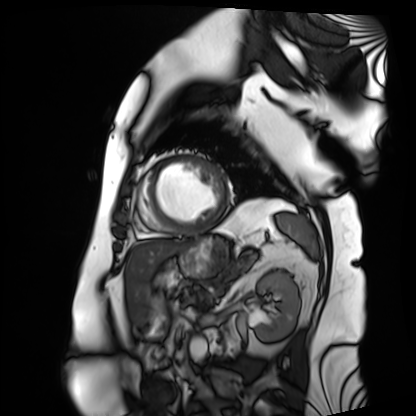
Cardiac MRI. Subject group: patient.